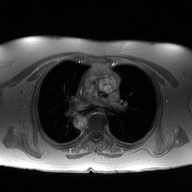
2D phase-contrast cine MRI of the ascending aorta, high-resolution GRAPPA acquisition.